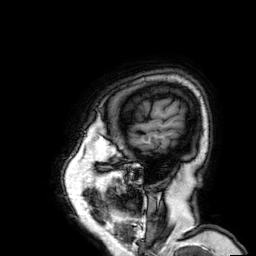
| field | value |
|---|---|
| modality | 3 Tesla brain MRI |
| series | 3D T1-weighted |
| study | ring-enhancing brain masses |